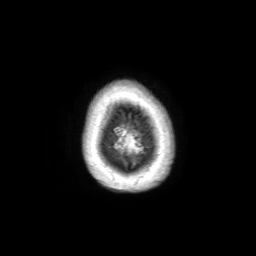
3 Tesla brain MRI. Series: 3D T1-weighted TFE with SENSE. Study: ring-enhancing brain masses.